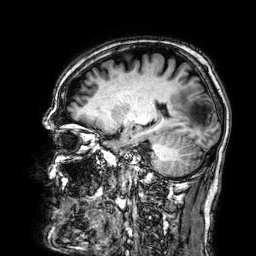
modality — 3 Tesla brain MRI | series — 3D T1-weighted | study — ring-enhancing brain masses.